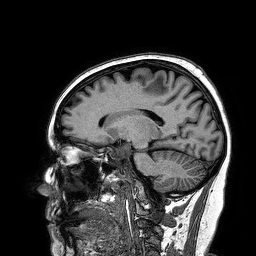
3 Tesla brain MRI.
Study: ring-enhancing brain masses.